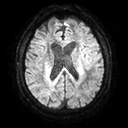
modality:
  type: brain MRI
  field_strength: 3T
series: diffusion tensor imaging (medium iso)
study_topic: ring-enhancing brain masses